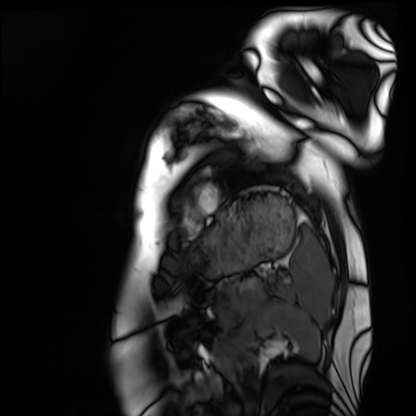
Cardiac MRI. Subject group: healthy volunteer.